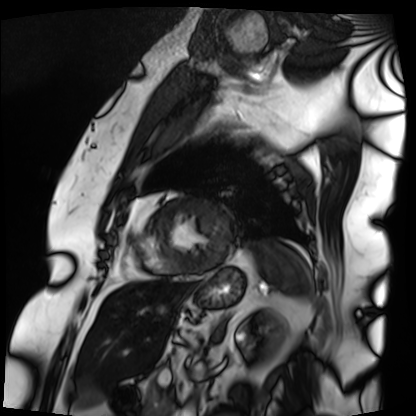
– modality: cardiac MRI
– subject group: patient